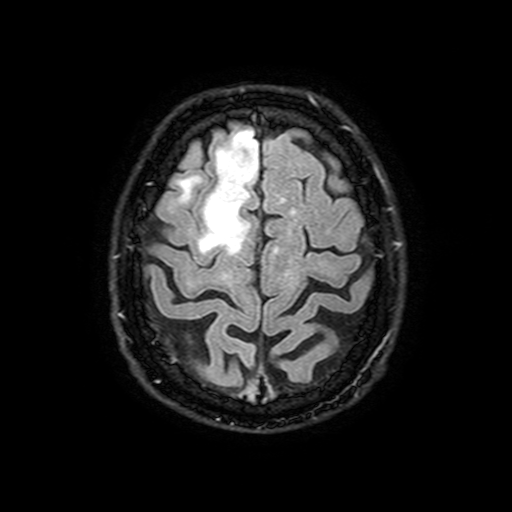
Summary: 3 Tesla brain MRI. Series: FLAIR with SPAIR, 3 mm. Study: ring-enhancing brain masses.